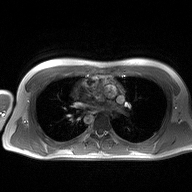
2D phase-contrast cine MRI of the ascending aorta, high-resolution GRAPPA acquisition.